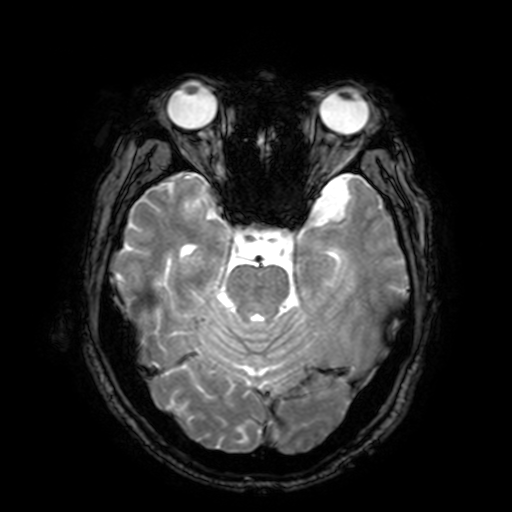
modality: 3 Tesla brain MRI
series: T2-weighted fast field echo with SENSE
study: ring-enhancing brain masses